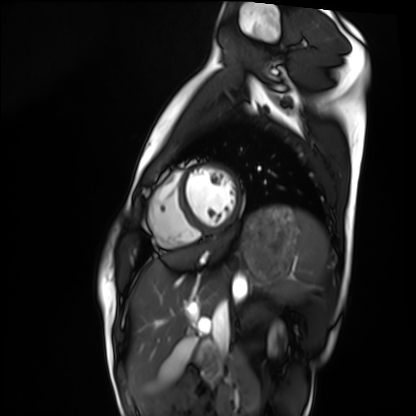
Summary:
Cardiac MRI. Subject group: healthy volunteer.